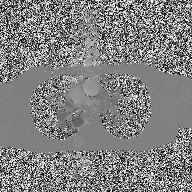
modality = 2D phase-contrast cine MRI of the ascending aorta.